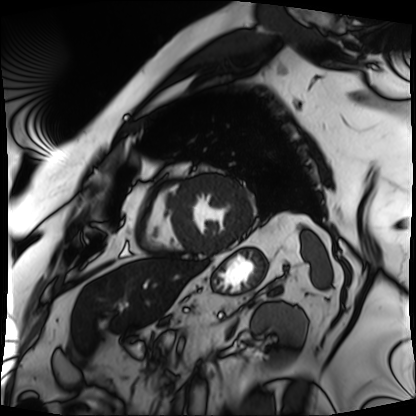
Cardiac MRI.
Subject group: patient.